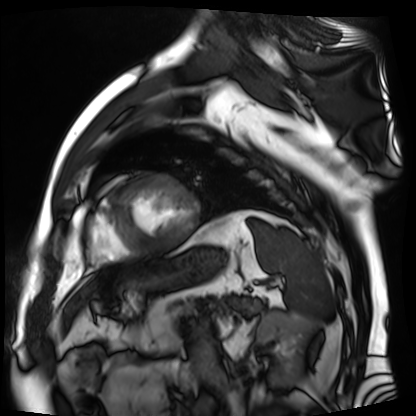
Case summary:
Cardiac MR image of the myocardium. Subject cohort: cardiac patient.